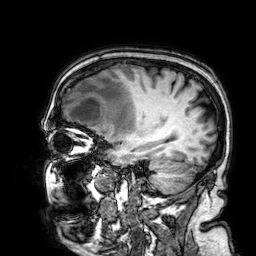
| field | value |
|---|---|
| modality | 3 Tesla brain MRI |
| series | 3D T1-weighted |
| study | ring-enhancing brain masses |